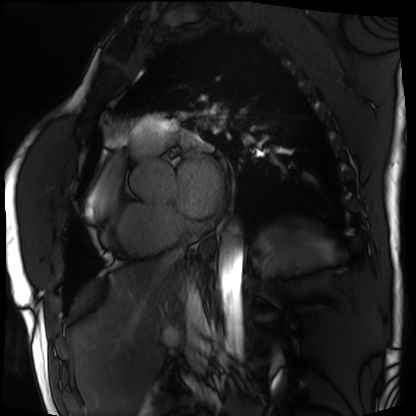
modality: cardiac MRI | subject group: patient.